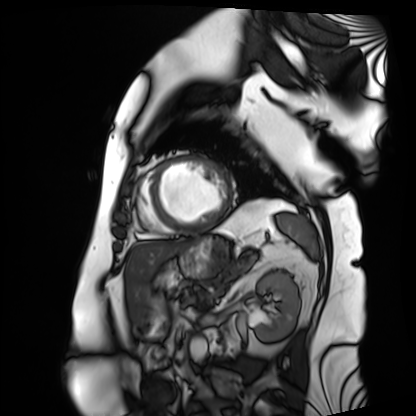
Case summary:
Cardiac MRI. Subject group: patient.